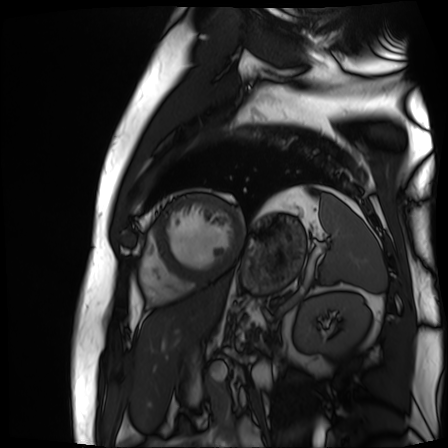
Cardiac MR image of the myocardium.
Subject cohort: cardiac patient.